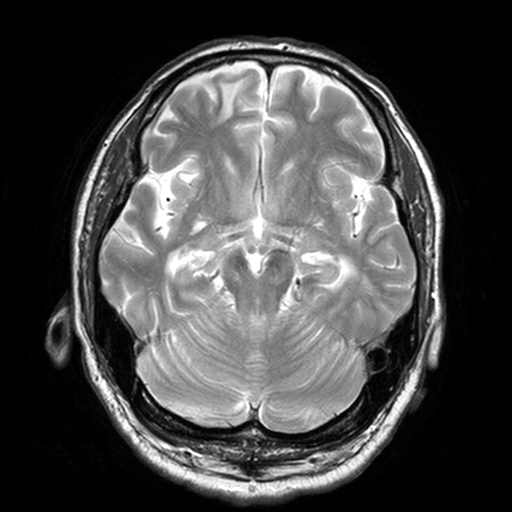
– modality · 3 Tesla brain MRI
– series · T2-weighted turbo spin echo, 3 mm
– study · ring-enhancing brain masses